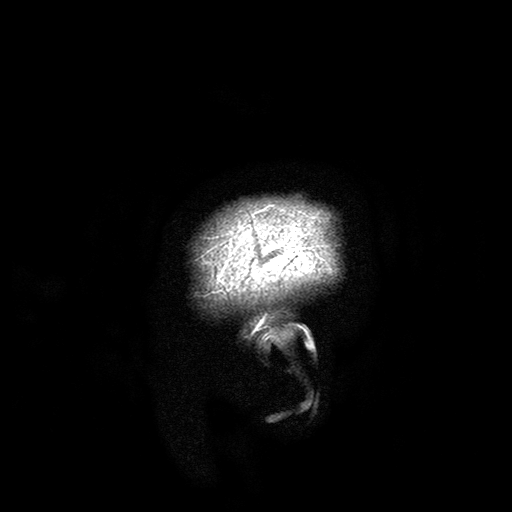
{"modality": {"type": "brain MRI", "field_strength": "3T"}, "series": "T2-weighted turbo spin echo with SENSE", "study_topic": "ring-enhancing brain masses"}